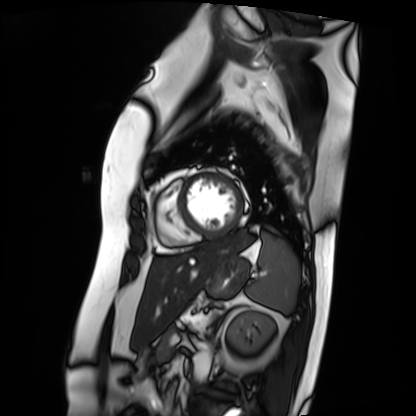
Q: What kind of scan is this?
A: Cardiac MRI.
Subject group: patient.